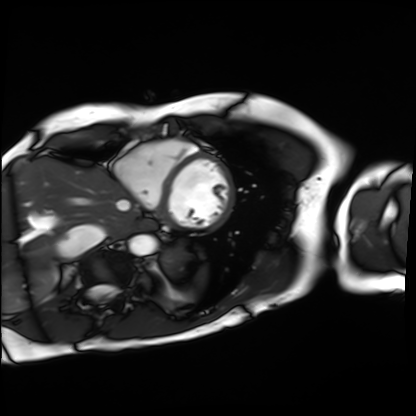
Clinical context:
Cardiac MRI. Subject group: patient.